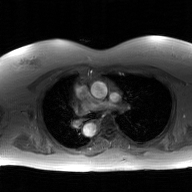
Case:
– modality — 2D phase-contrast cine MRI of the ascending aorta, GAN super-resolution reconstruction